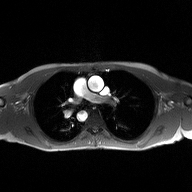
modality:
  type: 2D phase-contrast cine MRI
  region: ascending aorta
  reconstruction: high-resolution GRAPPA acquisition